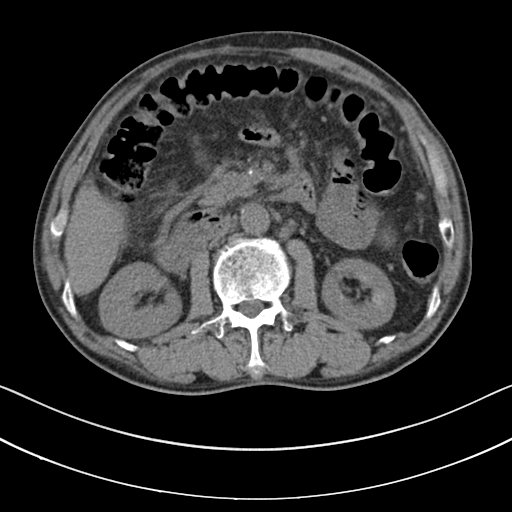
Multiphase abdominal CT, liver, non-contrast phase.
Patient: male, age 60.
History: cirrhosis, viral hepatitis.